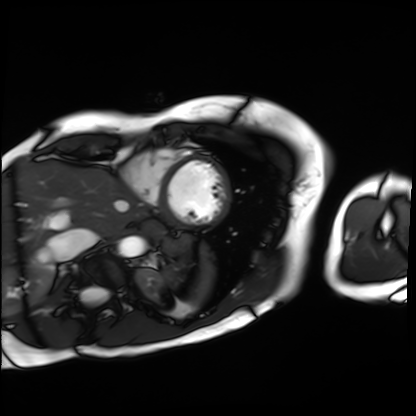
Summary:
Cardiac MRI. Subject group: patient.